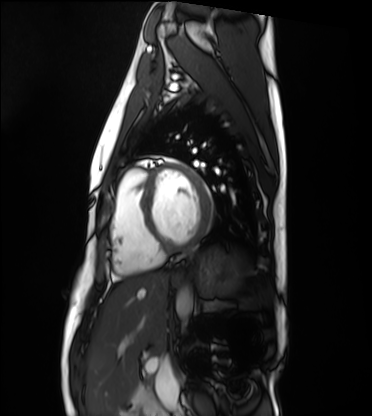
modality: cardiac MRI
subject group: healthy volunteer